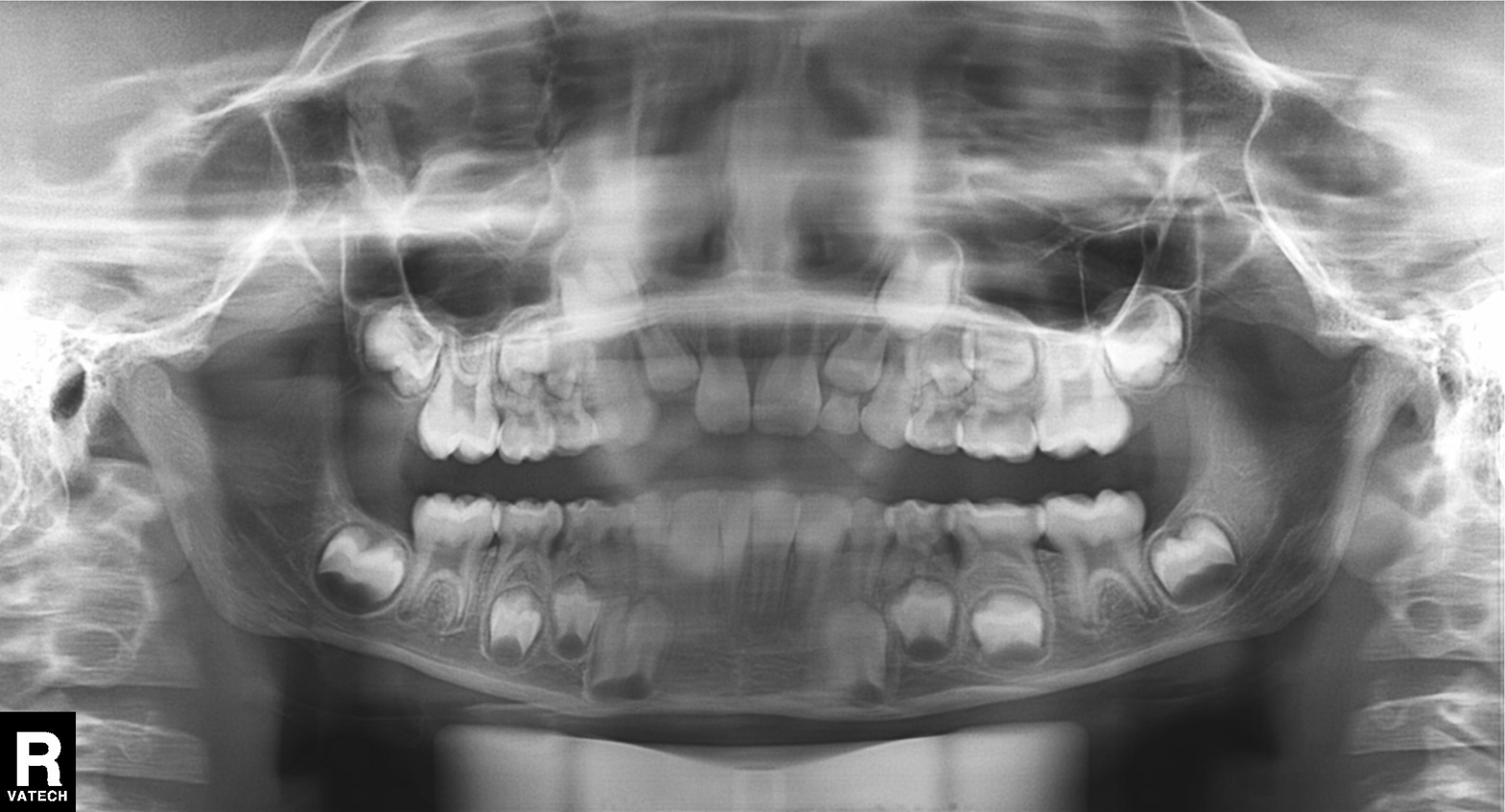
Panoramic dental radiograph (orthopantomogram).
Finding: tooth impaction.